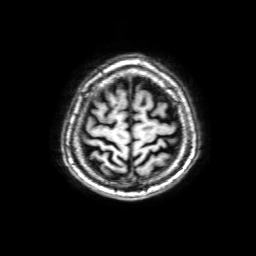
Clinical context: 3 Tesla brain MRI. Series: 3D T1-weighted with SENSE. Study: ring-enhancing brain masses.